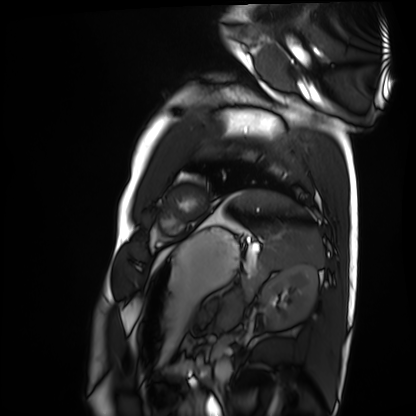
Cardiac MRI. Subject group: healthy volunteer.